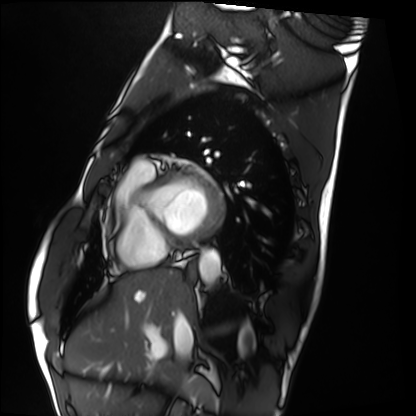
Summary: Cardiac MRI. Subject group: healthy volunteer.